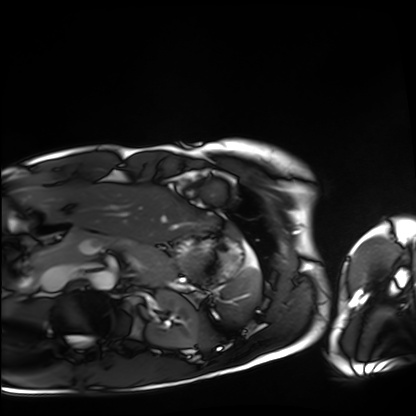
{"modality": "cardiac MRI", "cohort": "healthy volunteer"}